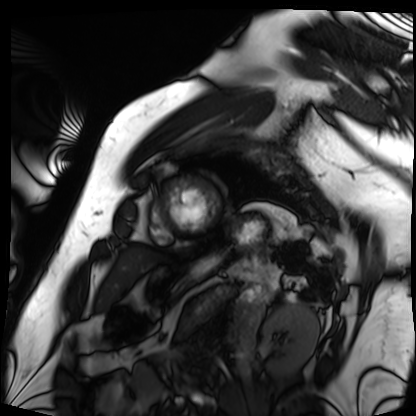
Cardiac MRI. Subject group: patient.